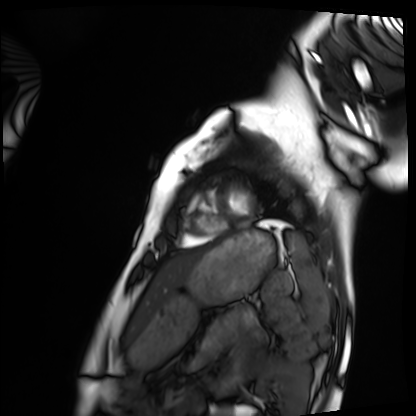
Cardiac MRI. Subject group: healthy volunteer.